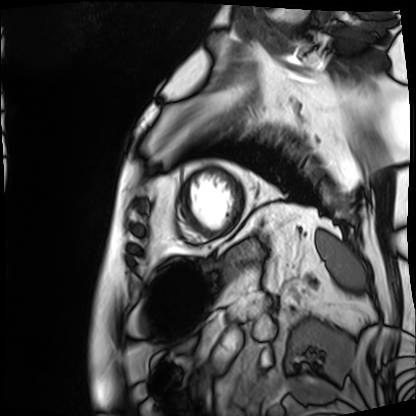
Clinical context: Cardiac MRI. Subject group: patient.